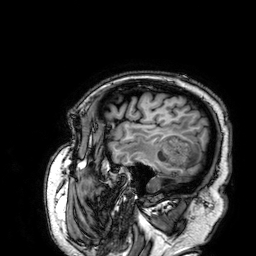
* modality: 3 Tesla brain MRI
* series: 3D T1-weighted
* study: ring-enhancing brain masses